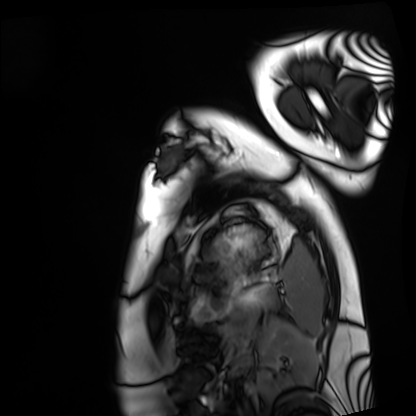
modality: cardiac MRI | subject group: healthy volunteer.